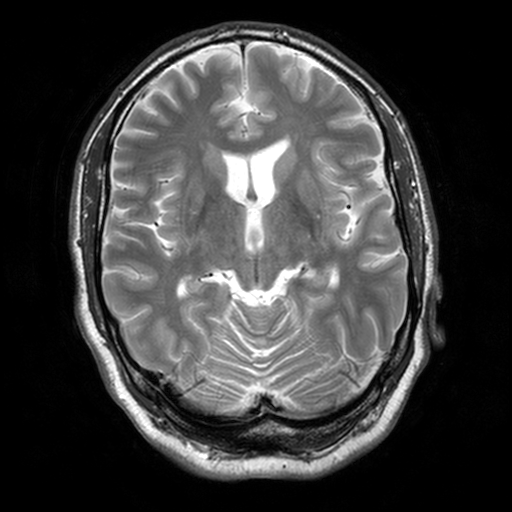
| field | value |
|---|---|
| modality | 3 Tesla brain MRI |
| series | T2-weighted turbo spin echo, 3 mm |
| study | ring-enhancing brain masses |